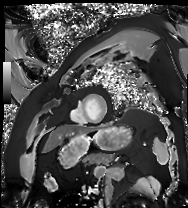
modality: cardiac MRI
cohort: patient